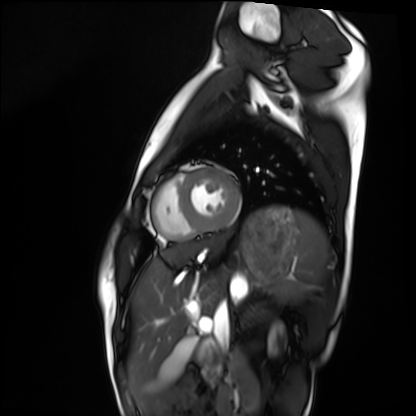
{
  "modality": "cardiac MRI",
  "cohort": "healthy volunteer"
}